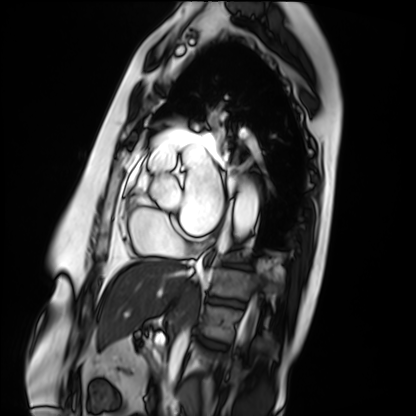
Q: What kind of scan is this?
A: Cardiac MRI.
Subject group: patient.